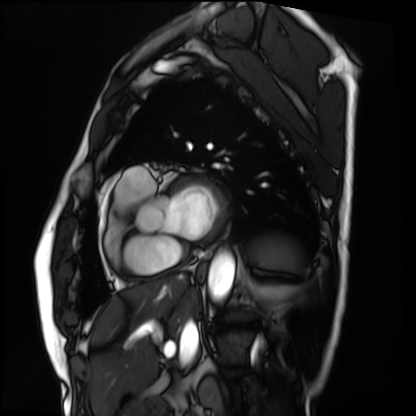
Summary: Cardiac MRI. Subject group: patient.